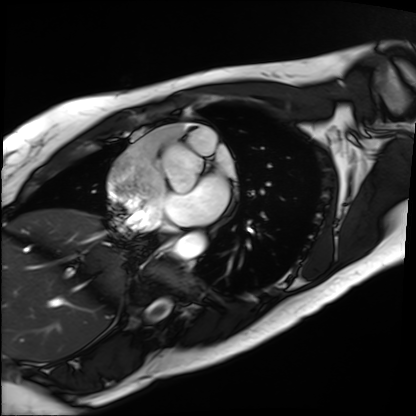
Cardiac MRI. Subject group: patient.